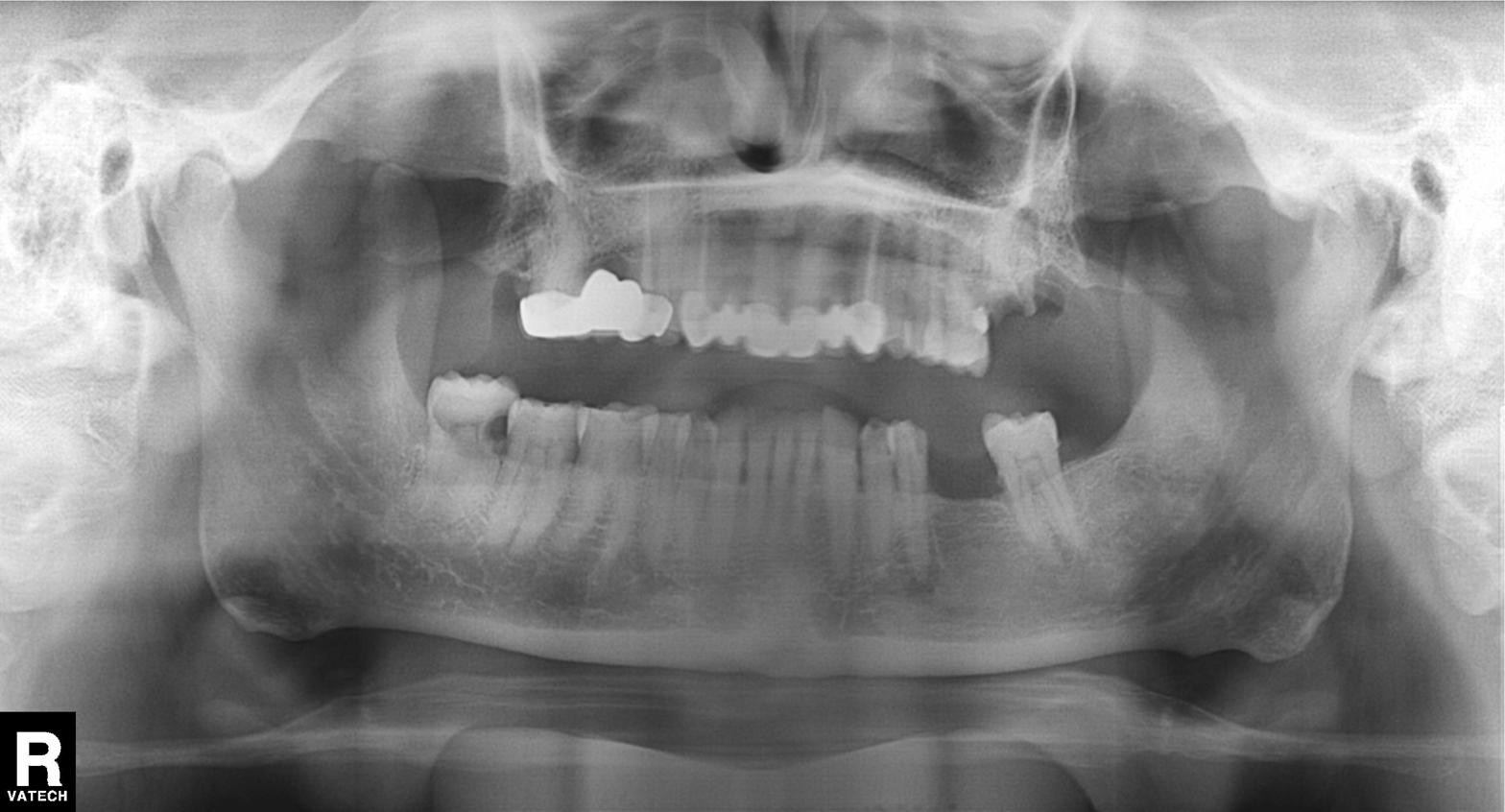
Summary: Panoramic dental radiograph (orthopantomogram).
Diagnosis: Dental caries (cavities).